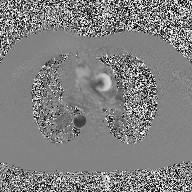
• modality: 2D phase-contrast cine MRI of the ascending aorta